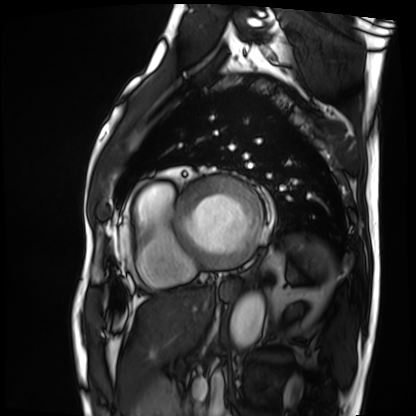
Summary: Cardiac MRI. Subject group: patient.